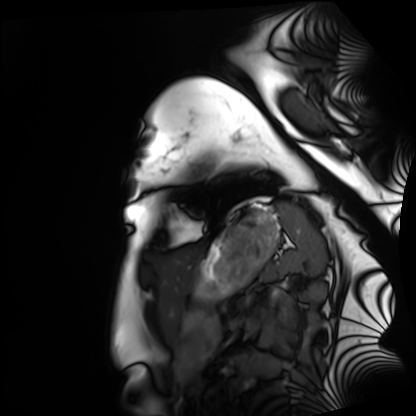
- modality: cardiac MRI
- subject group: healthy volunteer